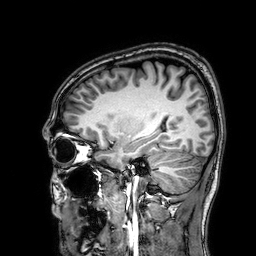
* modality — 3 Tesla brain MRI
* series — 3D T1-weighted
* study — ring-enhancing brain masses